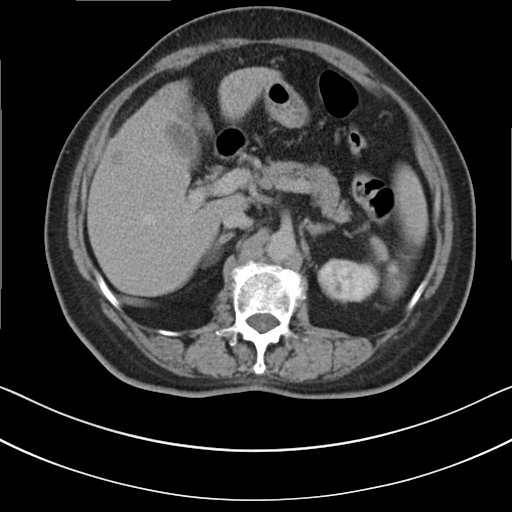
modality = multiphase abdominal CT, liver, delayed phase | patient = female, age 76.